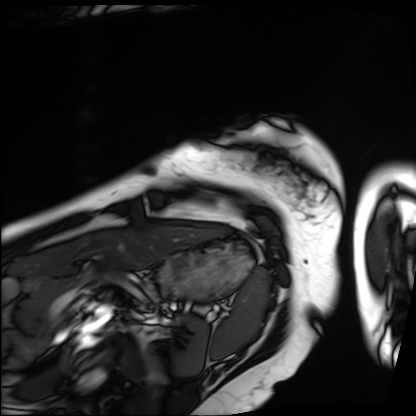
* modality: cardiac MRI
* subject group: patient